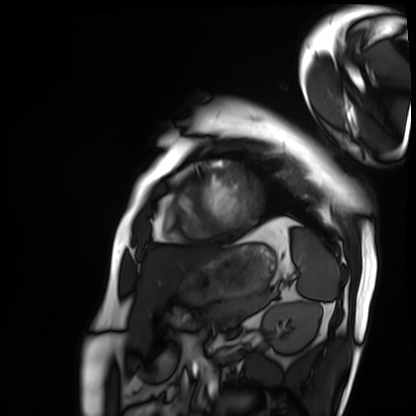
Q: What kind of scan is this?
A: Cardiac MRI.
Subject group: patient.